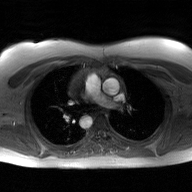
Case summary: 2D phase-contrast cine MRI of the ascending aorta, GAN super-resolution reconstruction.